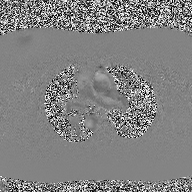
| field | value |
|---|---|
| modality | 2D phase-contrast cine MRI of the ascending aorta |